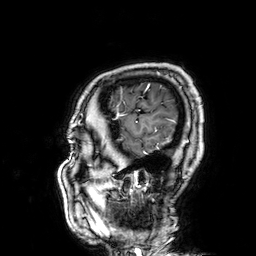
Summary: 3 Tesla brain MRI. Series: 3D T1-weighted. Study: ring-enhancing brain masses.